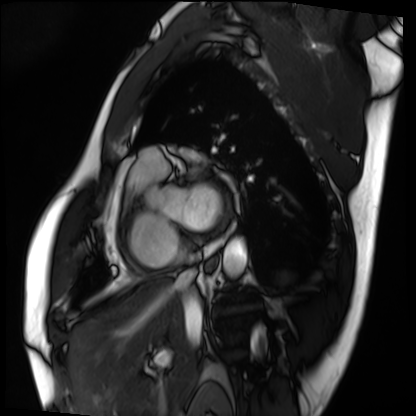
<case>
<modality>cardiac MRI</modality>
<cohort>patient</cohort>
</case>